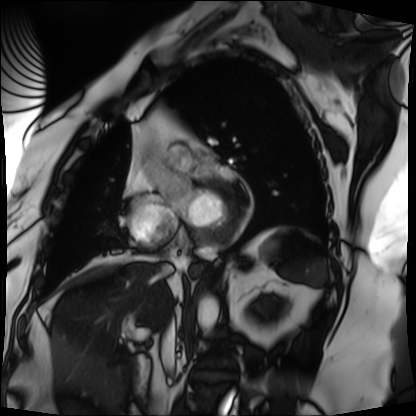
{
  "modality": "cardiac MRI",
  "cohort": "patient"
}